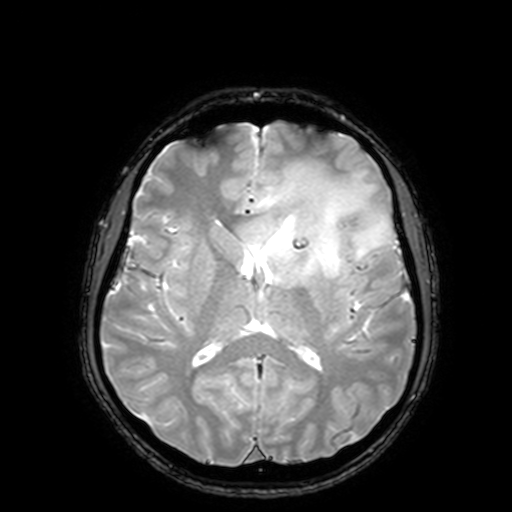
3 Tesla brain MRI. Series: T2-weighted fast field echo with SENSE. Study: ring-enhancing brain masses.